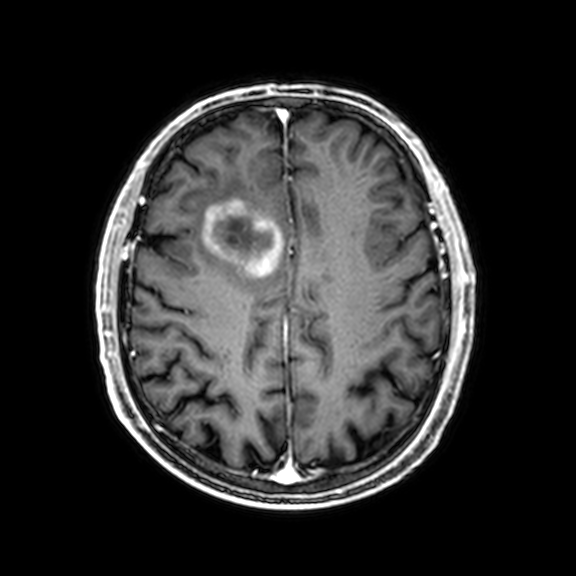
3 Tesla brain MRI. Series: 3D T1-weighted with CLEAR. Study: ring-enhancing brain masses.